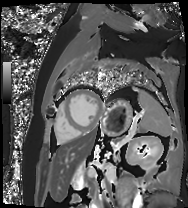
Q: What kind of scan is this?
A: Cardiac MR image of the myocardium.
Subject cohort: cardiac patient.